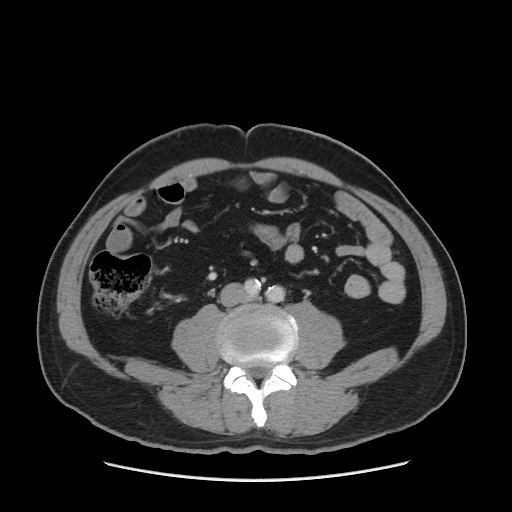
Q: What kind of scan is this?
A: Multiphase abdominal CT, liver, portal venous phase.
Q: Patient?
A: Male, age 51.
Q: History?
A: Cirrhosis, viral hepatitis.